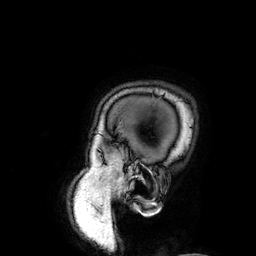
<record>
  <modality>
    <type>brain MRI</type>
    <field_strength>3T</field_strength>
  </modality>
  <series>3D T1-weighted</series>
  <study_topic>ring-enhancing brain masses</study_topic>
</record>